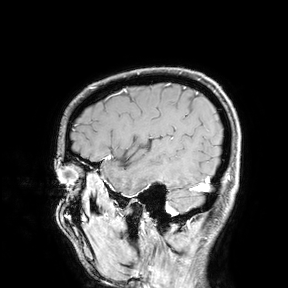
modality: 3 Tesla brain MRI; study: ring-enhancing brain masses.